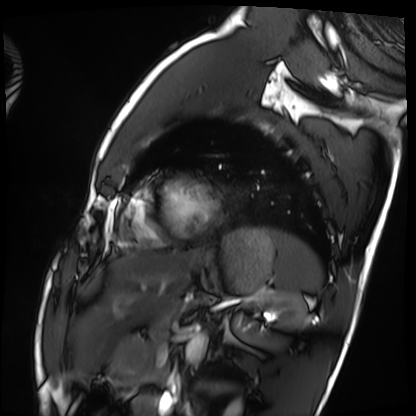
| field | value |
|---|---|
| modality | cardiac MRI |
| subject group | healthy volunteer |